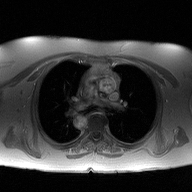
2D phase-contrast cine MRI of the ascending aorta, high-resolution GRAPPA acquisition.